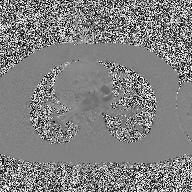
2D phase-contrast cine MRI of the ascending aorta, high-resolution GRAPPA acquisition.